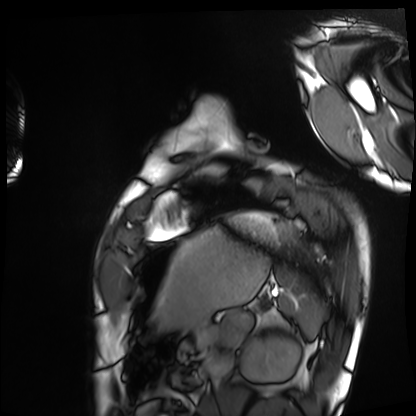
Cardiac MRI. Subject group: healthy volunteer.